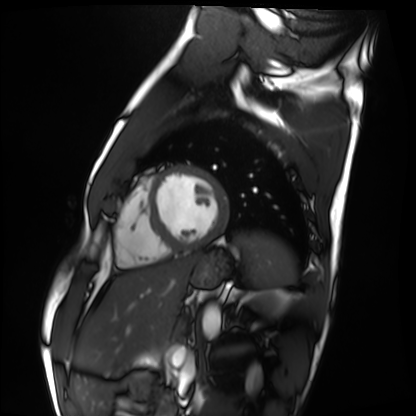
Q: What kind of scan is this?
A: Cardiac MRI.
Subject group: healthy volunteer.